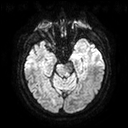
3 Tesla brain MRI.
Series: diffusion tensor imaging (medium iso).
Study: ring-enhancing brain masses.